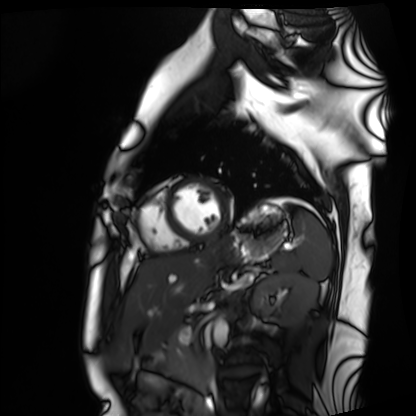
Cardiac MRI.
Subject group: healthy volunteer.